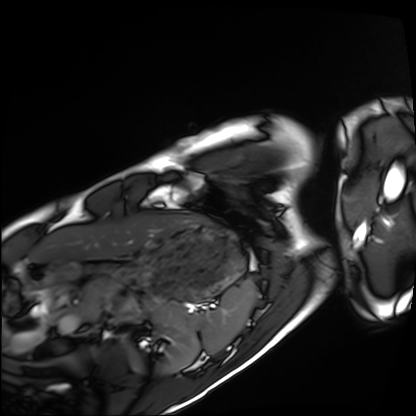
modality: cardiac MRI; subject group: healthy volunteer.